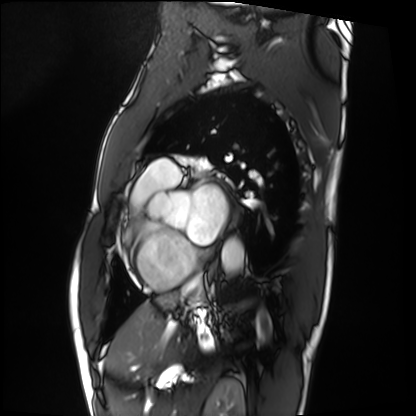
Cardiac MRI. Subject group: patient.